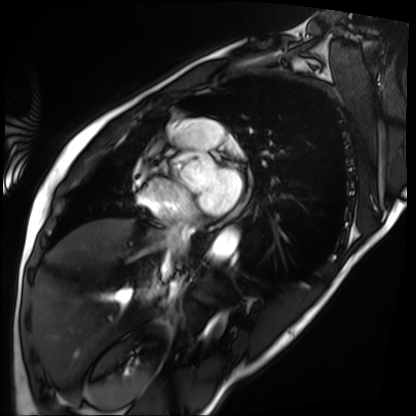
Cardiac MRI.
Subject group: patient.